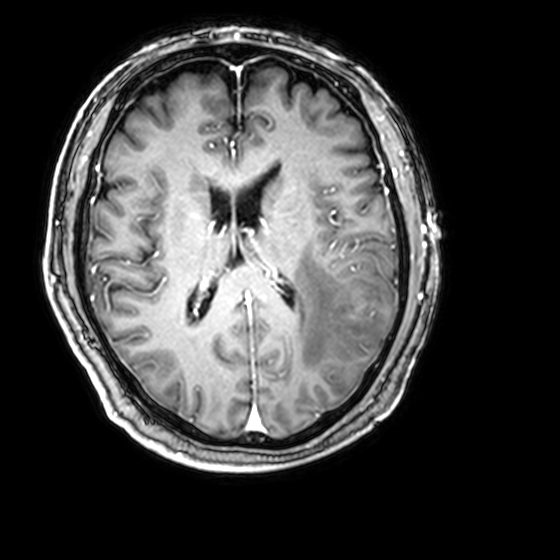
3 Tesla brain MRI.
Series: 3D T1-weighted with CLEAR.
Study: ring-enhancing brain masses.